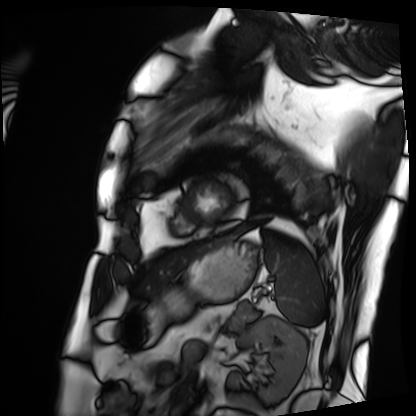
Cardiac MRI. Subject group: patient.